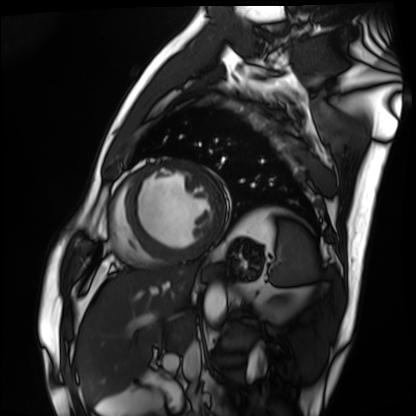
modality = cardiac MRI, subject group = patient.